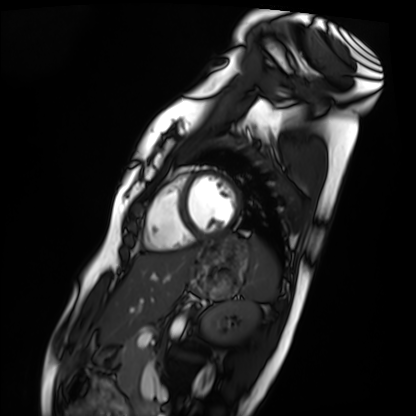
Summary: Cardiac MRI. Subject group: healthy volunteer.